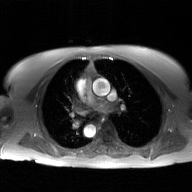
2D phase-contrast cine MRI of the ascending aorta, GAN super-resolution reconstruction.